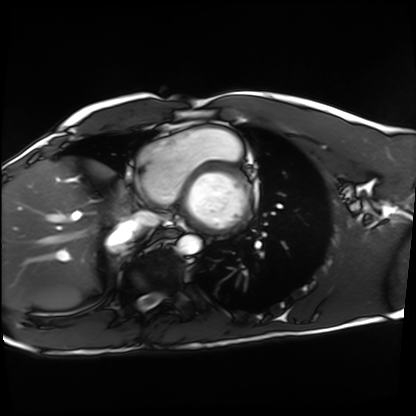
| field | value |
|---|---|
| modality | cardiac MRI |
| subject group | healthy volunteer |